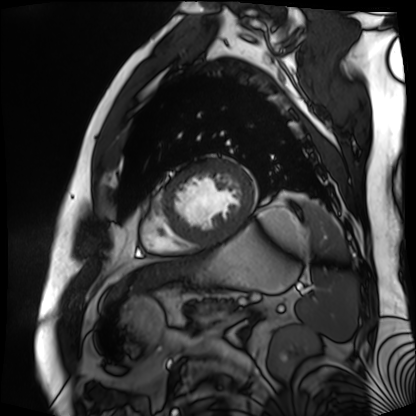
<record>
<modality>cardiac MR image of the myocardium</modality>
<cohort>cardiac patient</cohort>
</record>